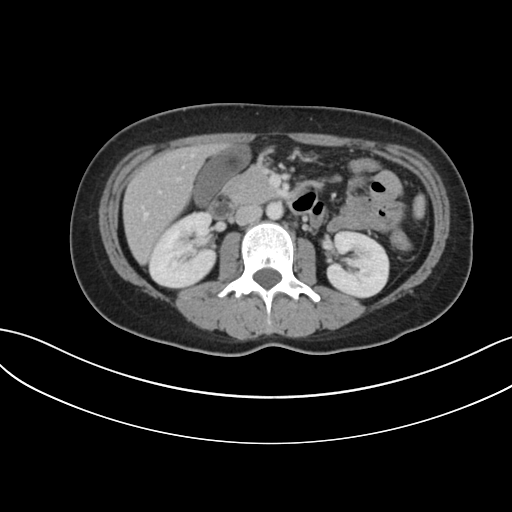
<scan>
<modality>
  <type>multiphase abdominal CT</type>
  <region>liver</region>
  <phase>portal venous</phase>
</modality>
<patient>
  <sex>male</sex>
  <age>37</age>
</patient>
</scan>